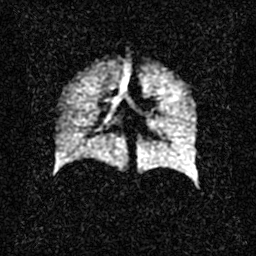
Clinical context: Hyperpolarized 129Xe ventilation MRI of the lungs. SNR level 2 of 8 (the deposit holds this scan as its native image and as seven SNR-degraded versions).